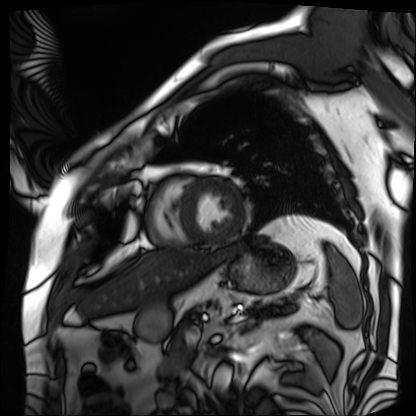
Cardiac MRI.
Subject group: patient.